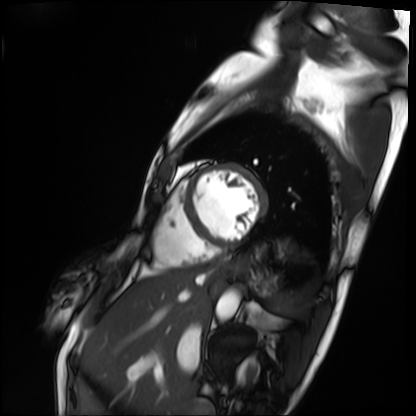
Cardiac MRI. Subject group: patient.